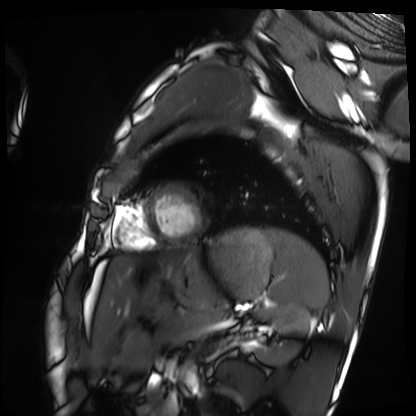
modality: cardiac MRI
subject group: healthy volunteer